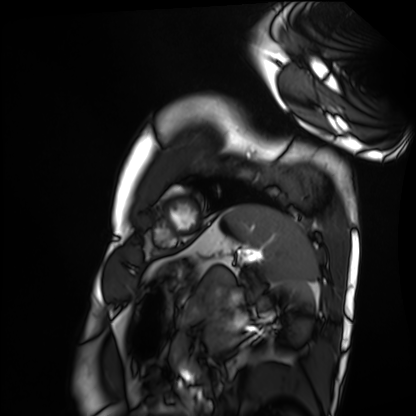
Summary: Cardiac MRI. Subject group: healthy volunteer.